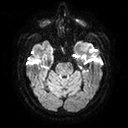
Summary: 3 Tesla brain MRI. Series: diffusion tensor imaging (medium iso). Study: ring-enhancing brain masses.